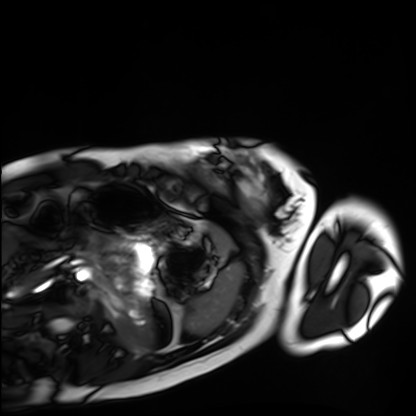
modality: cardiac MRI | subject group: healthy volunteer.